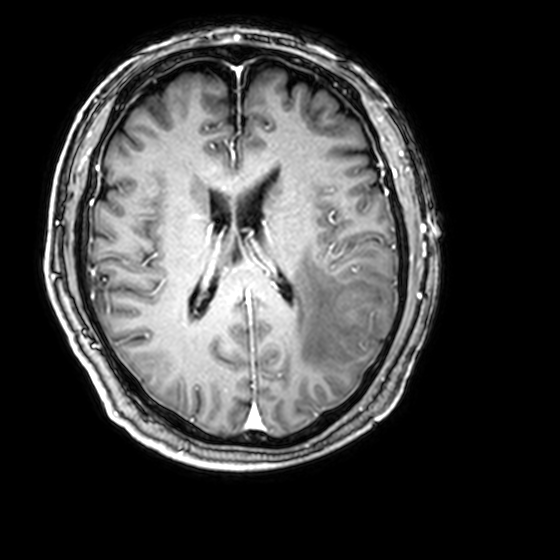
3 Tesla brain MRI. Series: 3D T1-weighted with CLEAR. Study: ring-enhancing brain masses.